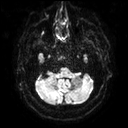
modality: 3 Tesla brain MRI; series: diffusion tensor imaging (medium iso); study: ring-enhancing brain masses.